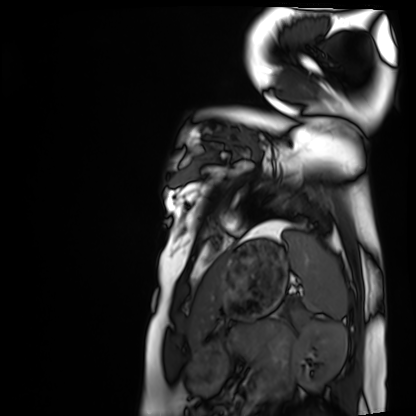
Cardiac MRI. Subject group: healthy volunteer.